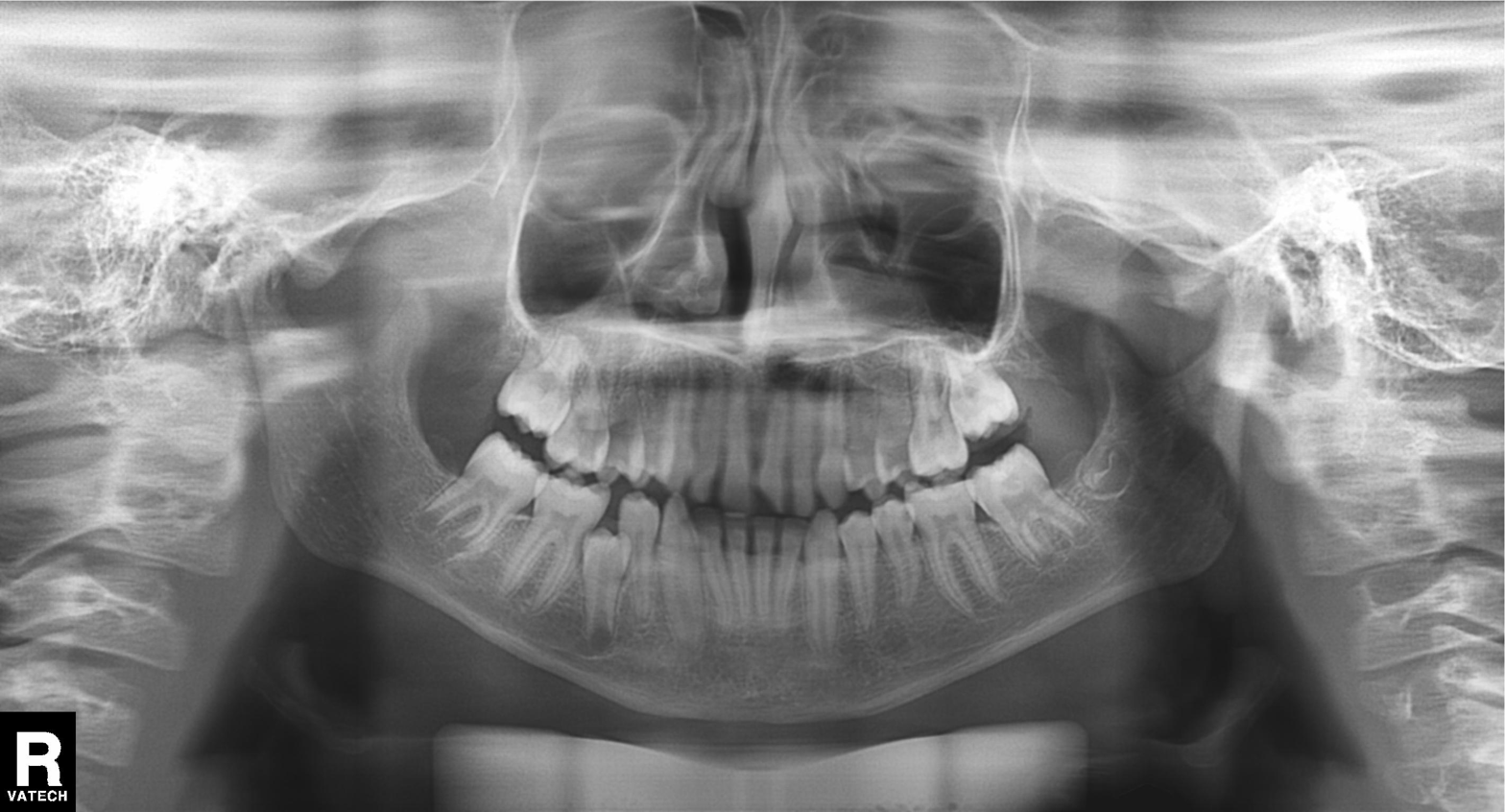
Panoramic dental radiograph (orthopantomogram). Finding: tooth impaction.